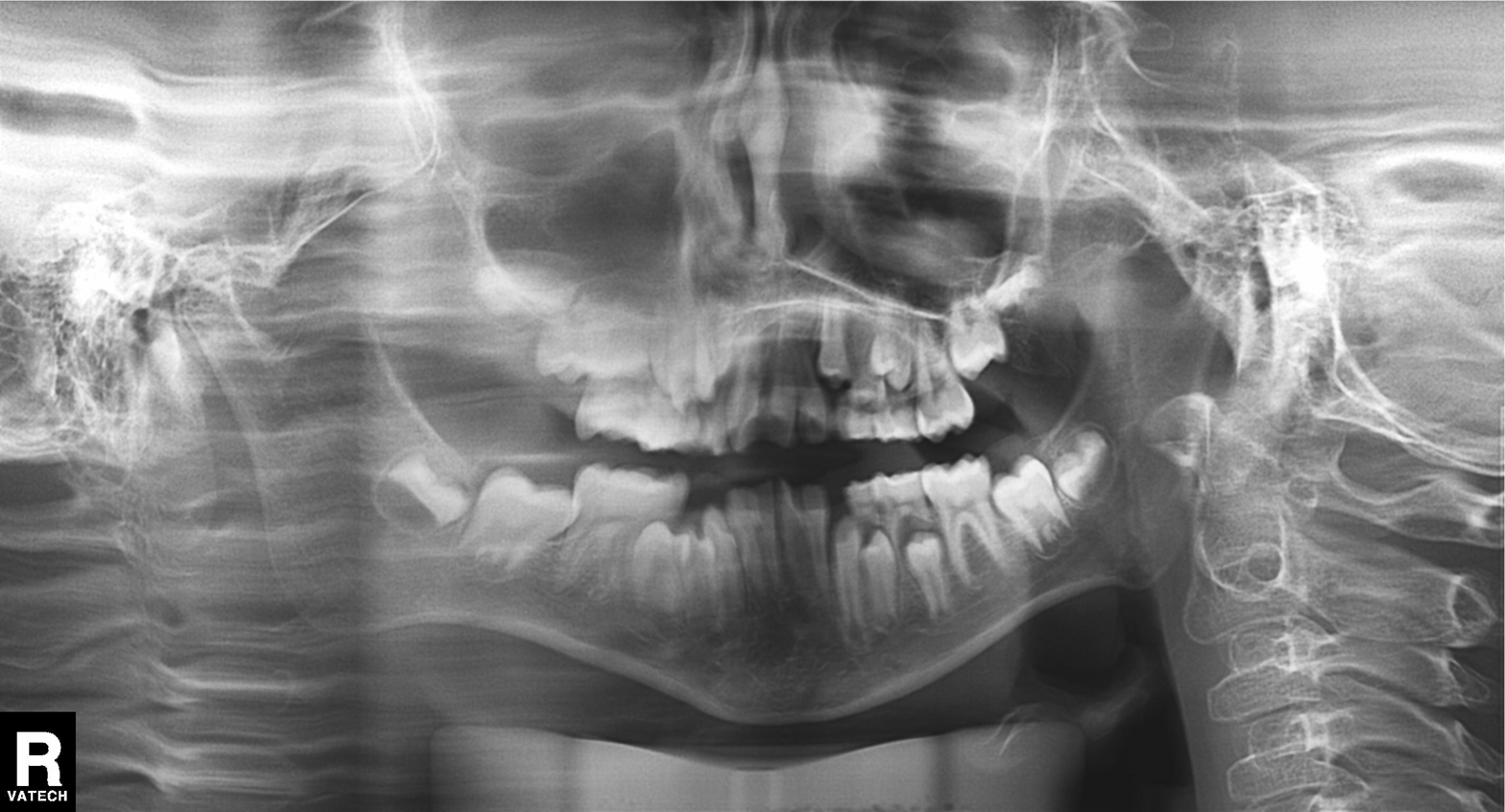
modality: panoramic dental radiograph (orthopantomogram)
finding: alveolar bone loss